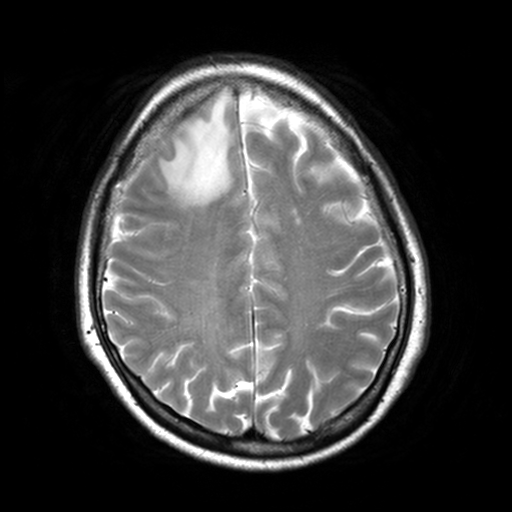
Case summary:
3 Tesla brain MRI. Series: T2-weighted turbo spin echo, 3 mm. Study: ring-enhancing brain masses.